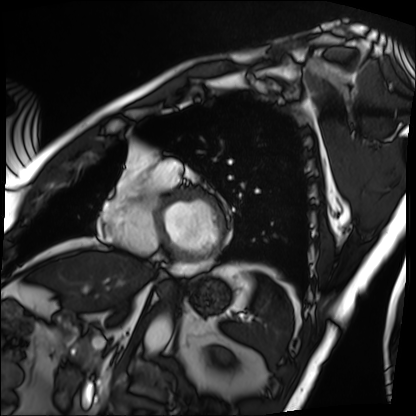
Q: What kind of scan is this?
A: Cardiac MRI.
Subject group: patient.